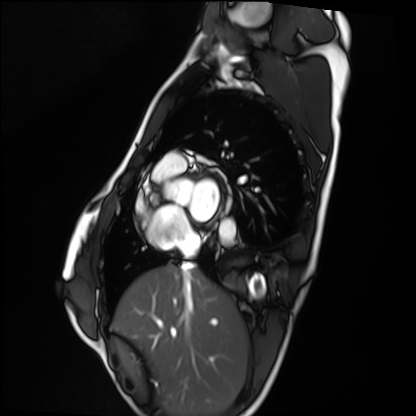
Case summary:
Cardiac MRI. Subject group: healthy volunteer.